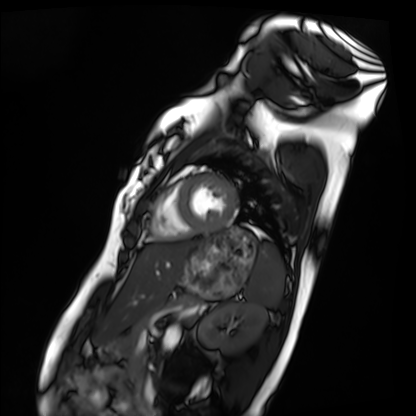
Cardiac MRI.
Subject group: healthy volunteer.